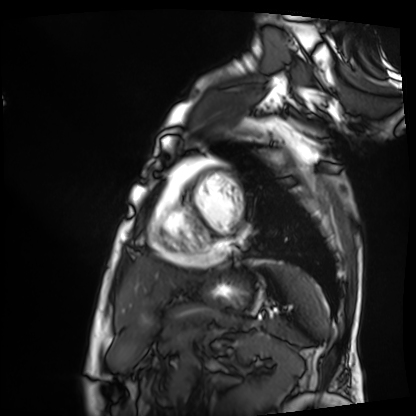
modality = cardiac MRI; subject group = patient.